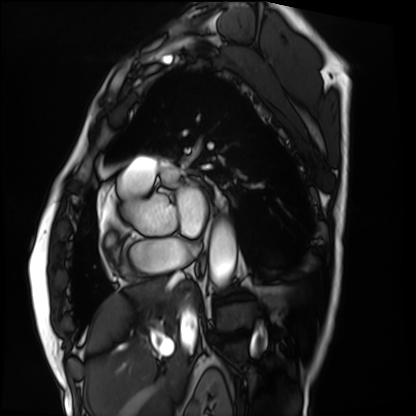
modality = cardiac MRI
subject group = patient